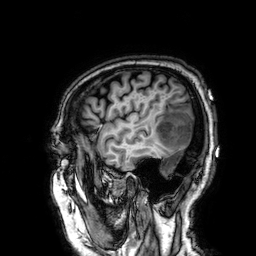
3 Tesla brain MRI. Series: 3D T1-weighted. Study: ring-enhancing brain masses.